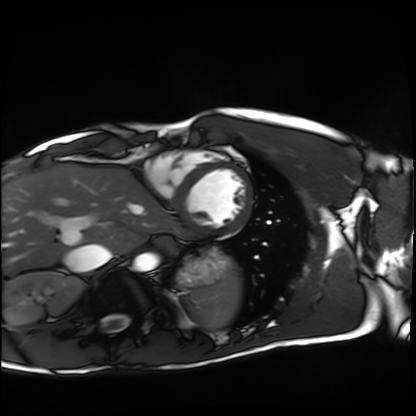
Cardiac MRI.
Subject group: healthy volunteer.